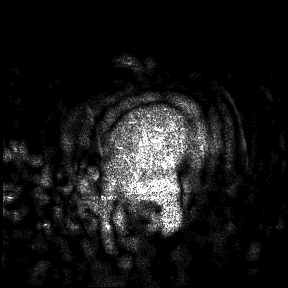
modality = 3 Tesla brain MRI; study = ring-enhancing brain masses.